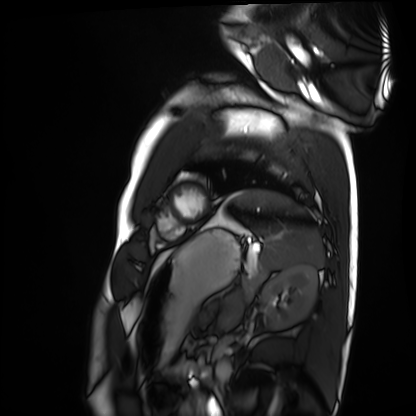
modality: cardiac MRI
subject group: healthy volunteer